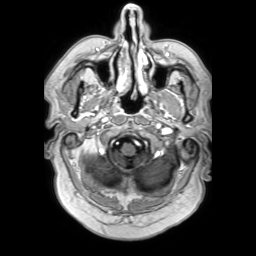
{
  "modality": {
    "type": "brain MRI",
    "field_strength": "3T"
  },
  "series": "3D T1-weighted TFE with SENSE",
  "study_topic": "ring-enhancing brain masses"
}